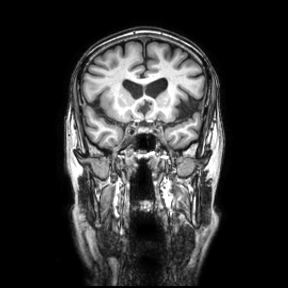
3 Tesla brain MRI. Series: coronal. Study: ring-enhancing brain masses.